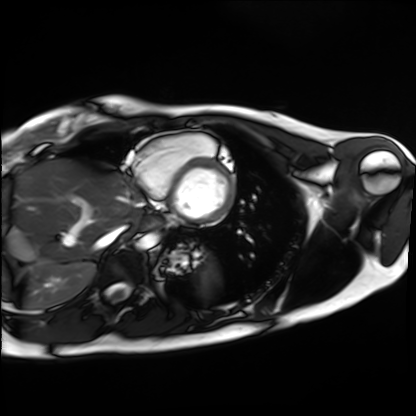
Cardiac MRI. Subject group: healthy volunteer.